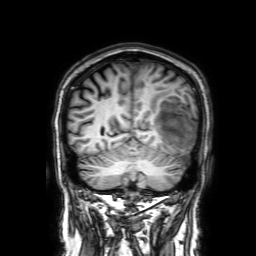
modality: 3 Tesla brain MRI; series: 3D T1-weighted with SENSE; study: ring-enhancing brain masses.